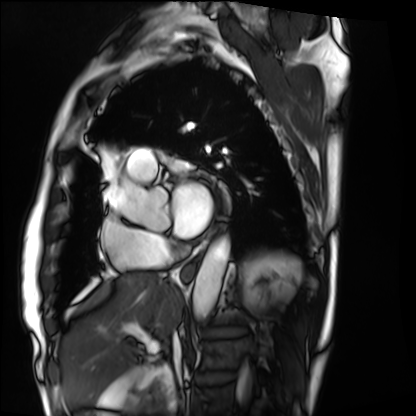
  modality: cardiac MRI
  cohort: patient